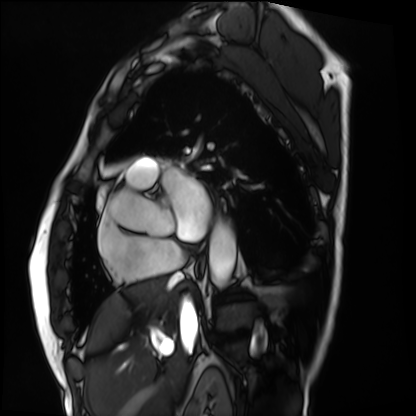
modality = cardiac MRI, subject group = patient.